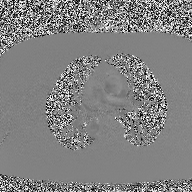
| field | value |
|---|---|
| modality | 2D phase-contrast cine MRI of the ascending aorta |